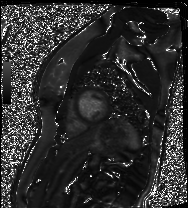
Cardiac MR image of the myocardium.
Subject cohort: healthy volunteer.